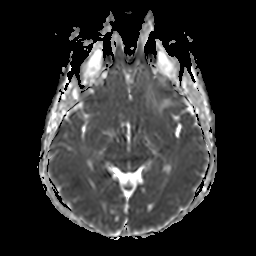
Clinical context: 3 Tesla brain MRI. Study: ring-enhancing brain masses.